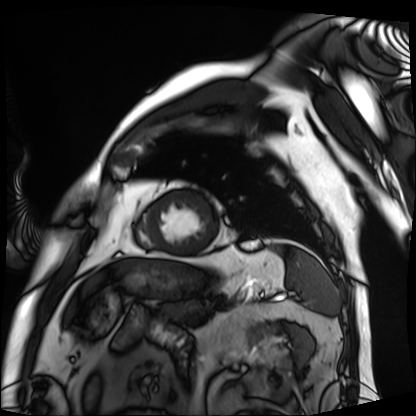
Cardiac MRI.
Subject group: patient.